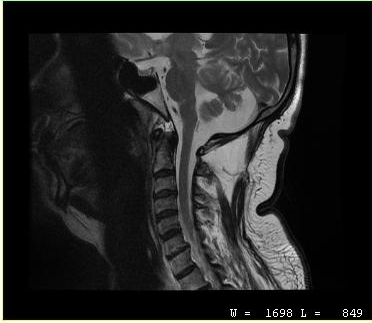
Summary: MRI of the cervical spine. Study: cervical spondylosis.